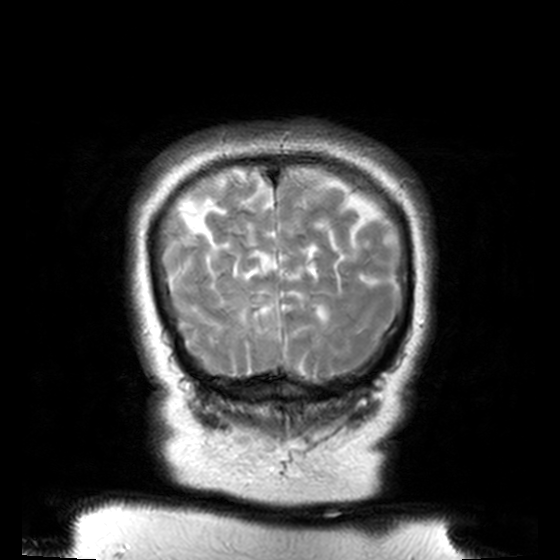
Q: What kind of scan is this?
A: 3 Tesla brain MRI.
Q: Series?
A: T2-weighted turbo spin echo, 3 mm.
Study: ring-enhancing brain masses.